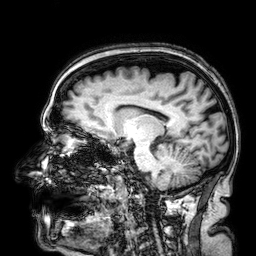
3 Tesla brain MRI. Series: 3D T1-weighted. Study: ring-enhancing brain masses.